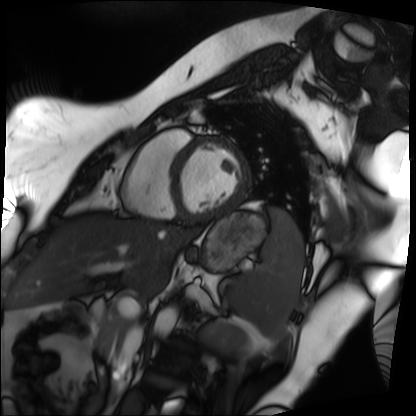
Clinical context: Cardiac MRI. Subject group: patient.